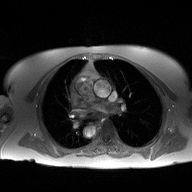
| field | value |
|---|---|
| modality | 2D phase-contrast cine MRI of the ascending aorta |